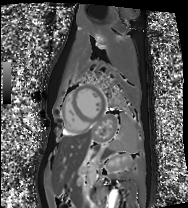
Clinical context:
Cardiac MRI. Subject group: healthy volunteer.